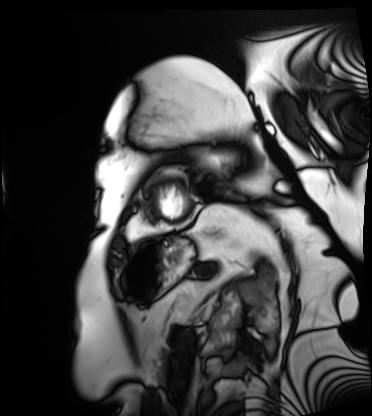
Cardiac MRI. Subject group: patient.